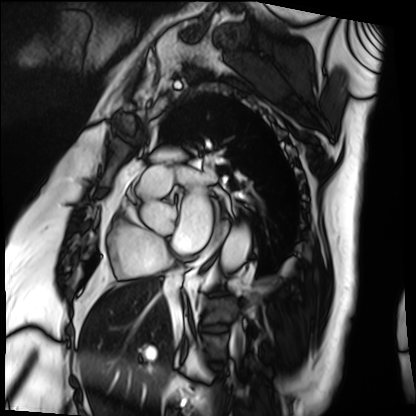
Cardiac MRI.
Subject group: patient.